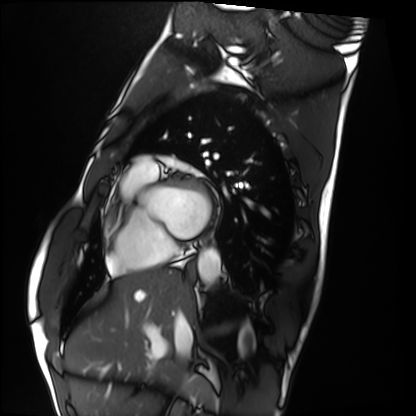
<scan>
<modality>cardiac MRI</modality>
<cohort>healthy volunteer</cohort>
</scan>